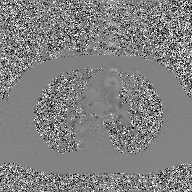
modality = 2D phase-contrast cine MRI of the ascending aorta, GAN super-resolution reconstruction.